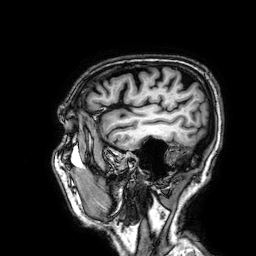
* modality — 3 Tesla brain MRI
* series — 3D T1-weighted
* study — ring-enhancing brain masses